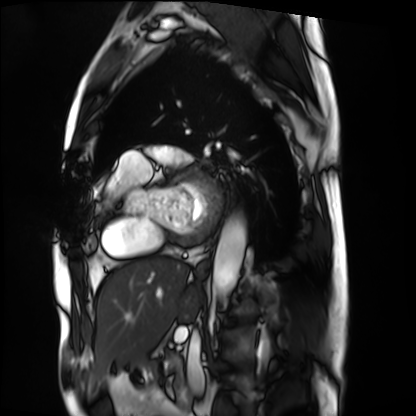
modality=cardiac MRI
subject group=patient